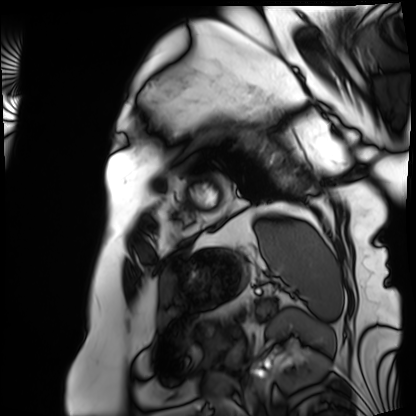
<scan>
  <modality>cardiac MRI</modality>
  <cohort>patient</cohort>
</scan>